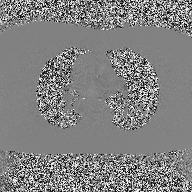
2D phase-contrast cine MRI of the ascending aorta, high-resolution GRAPPA acquisition.